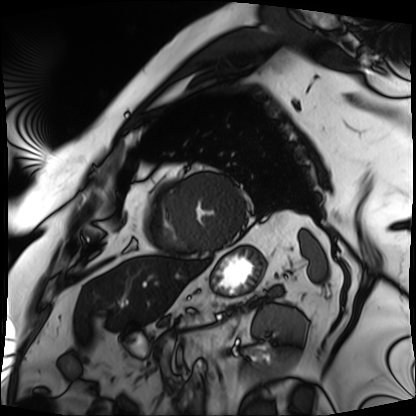
Q: What kind of scan is this?
A: Cardiac MRI.
Subject group: patient.